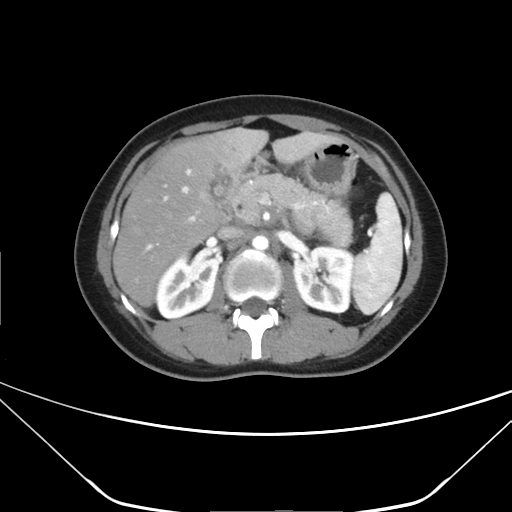
modality=multiphase abdominal CT, liver, arterial phase; patient=female, age 28.